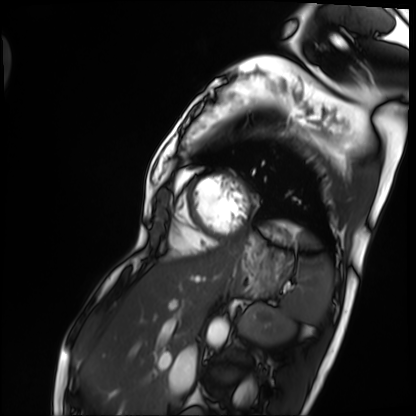
Cardiac MRI. Subject group: patient.